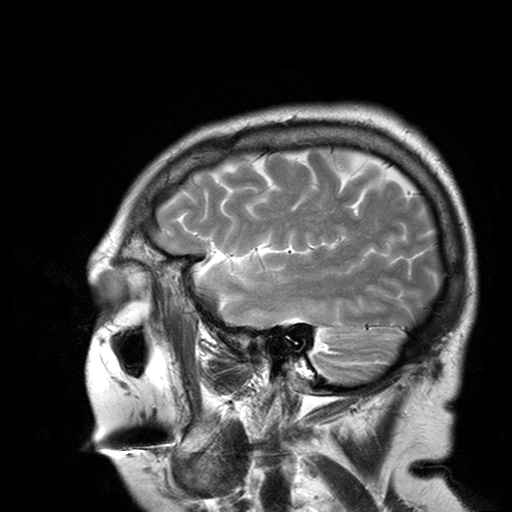
Clinical context: 3 Tesla brain MRI. Series: T2-weighted turbo spin echo with SENSE. Study: ring-enhancing brain masses.